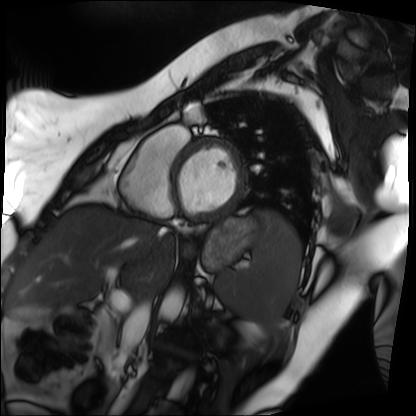
{
  "modality": "cardiac MRI",
  "cohort": "patient"
}